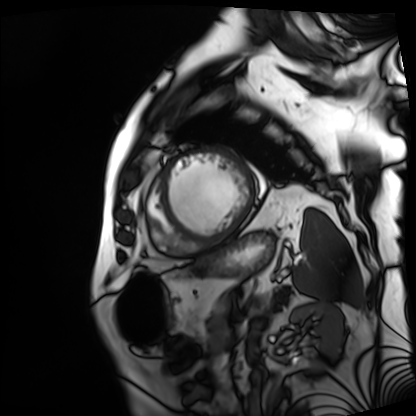
Cardiac MRI. Subject group: patient.